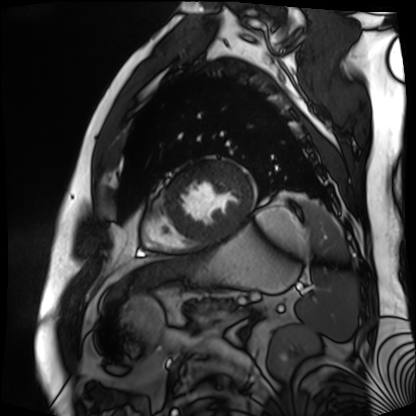
modality — cardiac MR image of the myocardium
subject cohort — cardiac patient